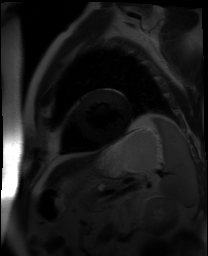
Cardiac MR image of the myocardium.
Subject cohort: cardiac patient.